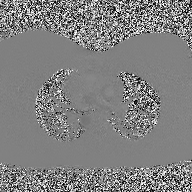
2D phase-contrast cine MRI of the ascending aorta, high-resolution GRAPPA acquisition.